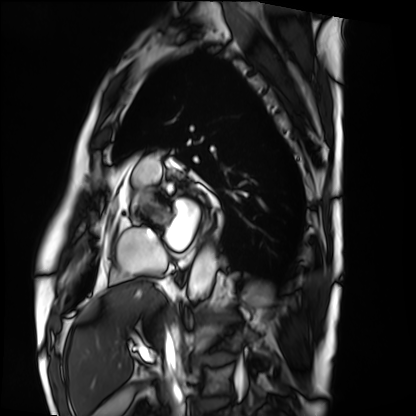
modality = cardiac MRI, subject group = patient.